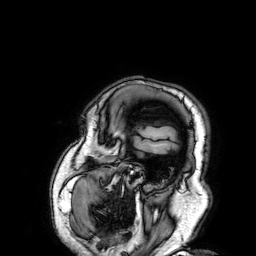
3 Tesla brain MRI. Series: 3D T1-weighted. Study: ring-enhancing brain masses.